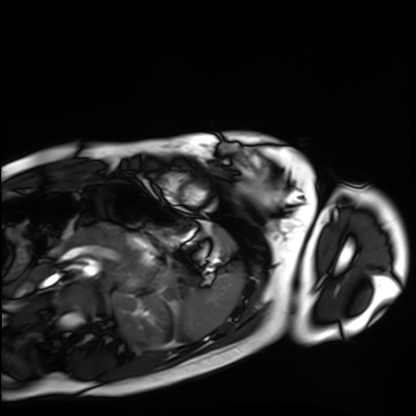
| field | value |
|---|---|
| modality | cardiac MRI |
| subject group | healthy volunteer |